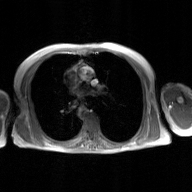
modality — 2D phase-contrast cine MRI of the ascending aorta, GAN super-resolution reconstruction.